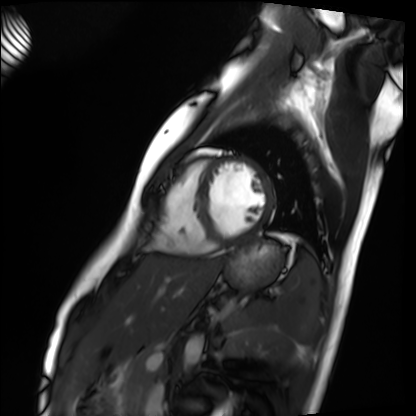
Clinical context:
Cardiac MRI. Subject group: healthy volunteer.